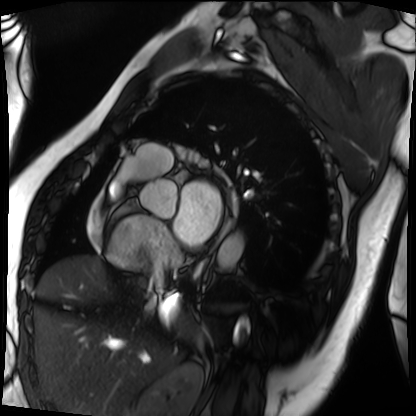
Cardiac MRI.
Subject group: patient.